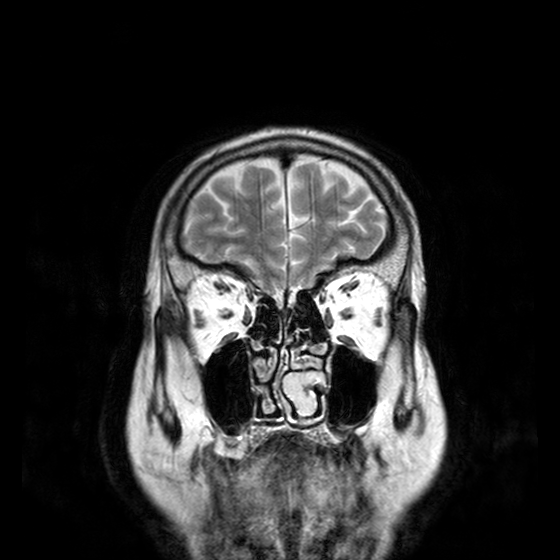
modality = 3 Tesla brain MRI; series = T2-weighted turbo spin echo with CLEAR; study = ring-enhancing brain masses.